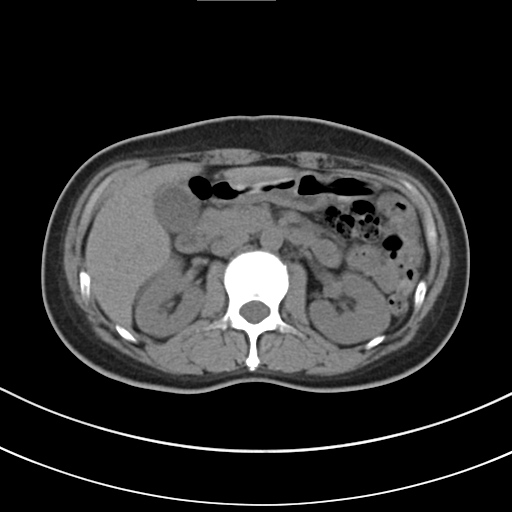
Multiphase abdominal CT, liver, non-contrast phase.
Patient: female, age 48.